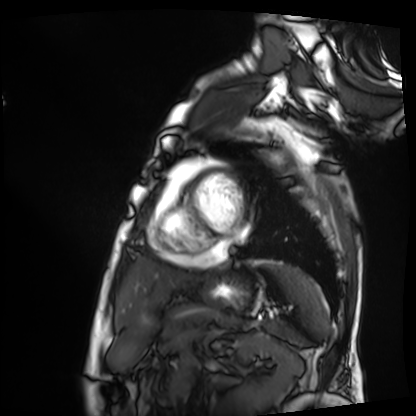
Cardiac MRI. Subject group: patient.